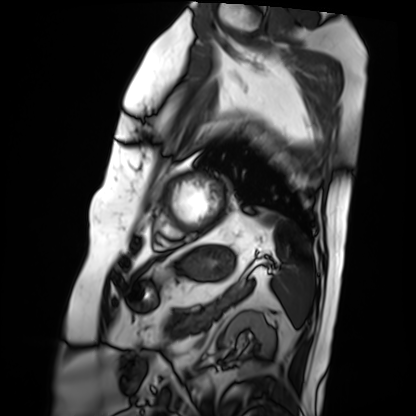
| field | value |
|---|---|
| modality | cardiac MRI |
| subject group | patient |